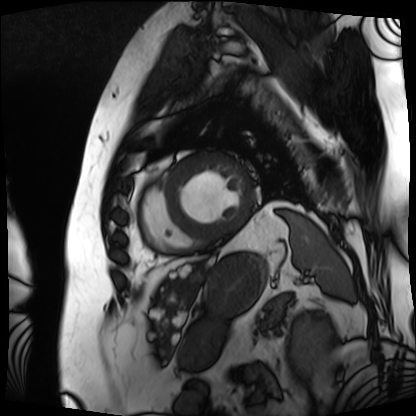
Summary:
Cardiac MRI. Subject group: patient.